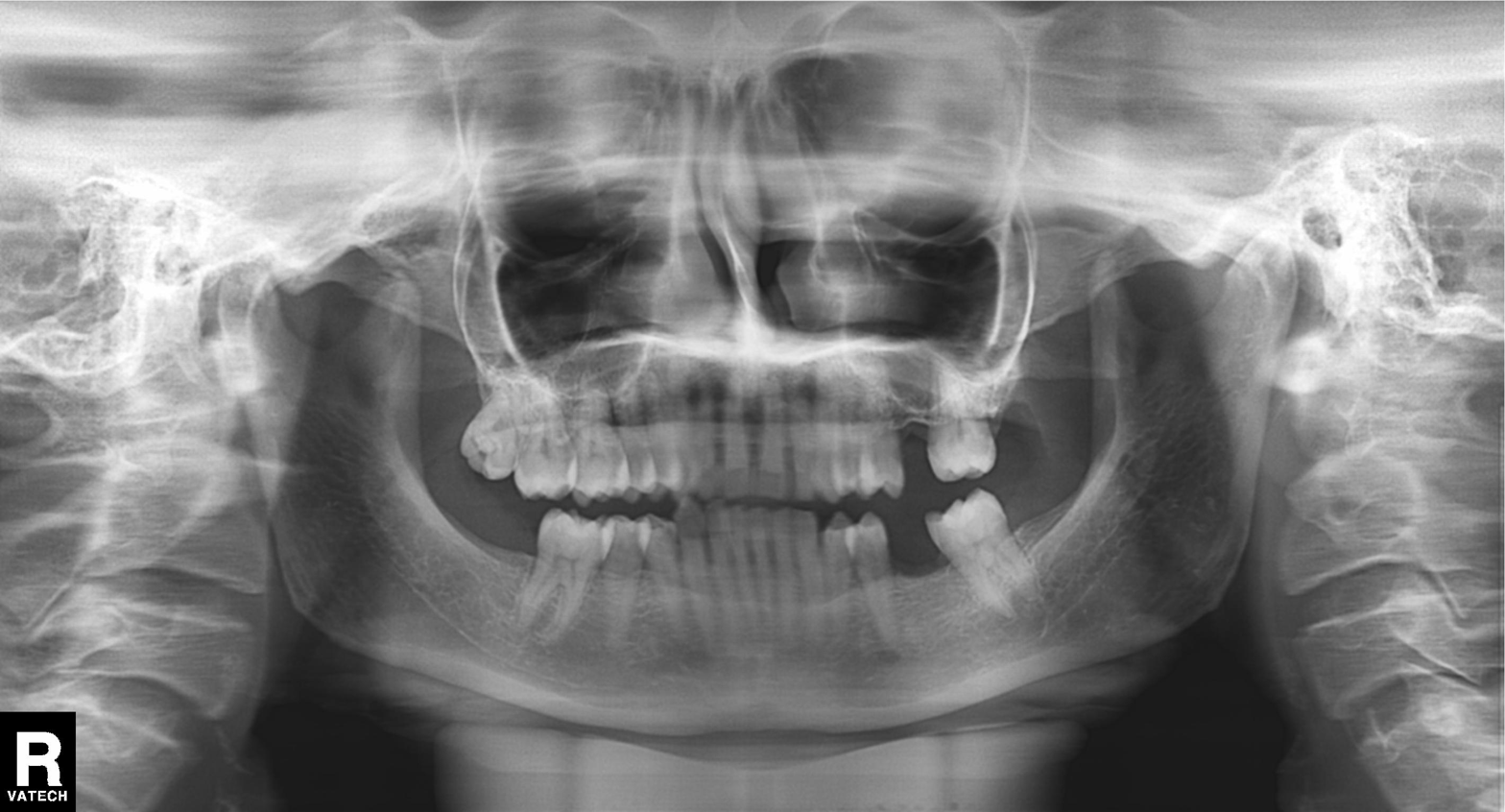
Summary:
Panoramic dental radiograph (orthopantomogram).
Assessment:
Alveolar bone loss.